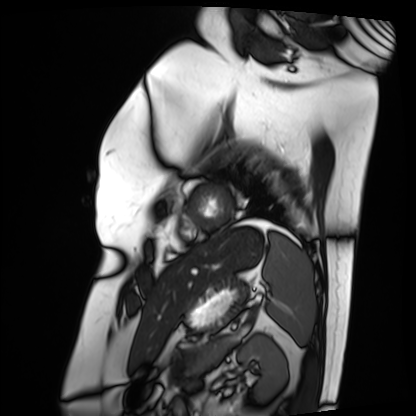
  modality: cardiac MRI
  cohort: patient